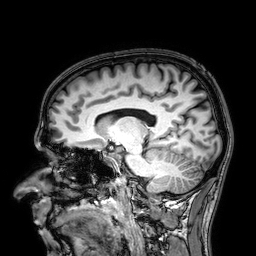
3 Tesla brain MRI. Series: 3D T1-weighted. Study: ring-enhancing brain masses.